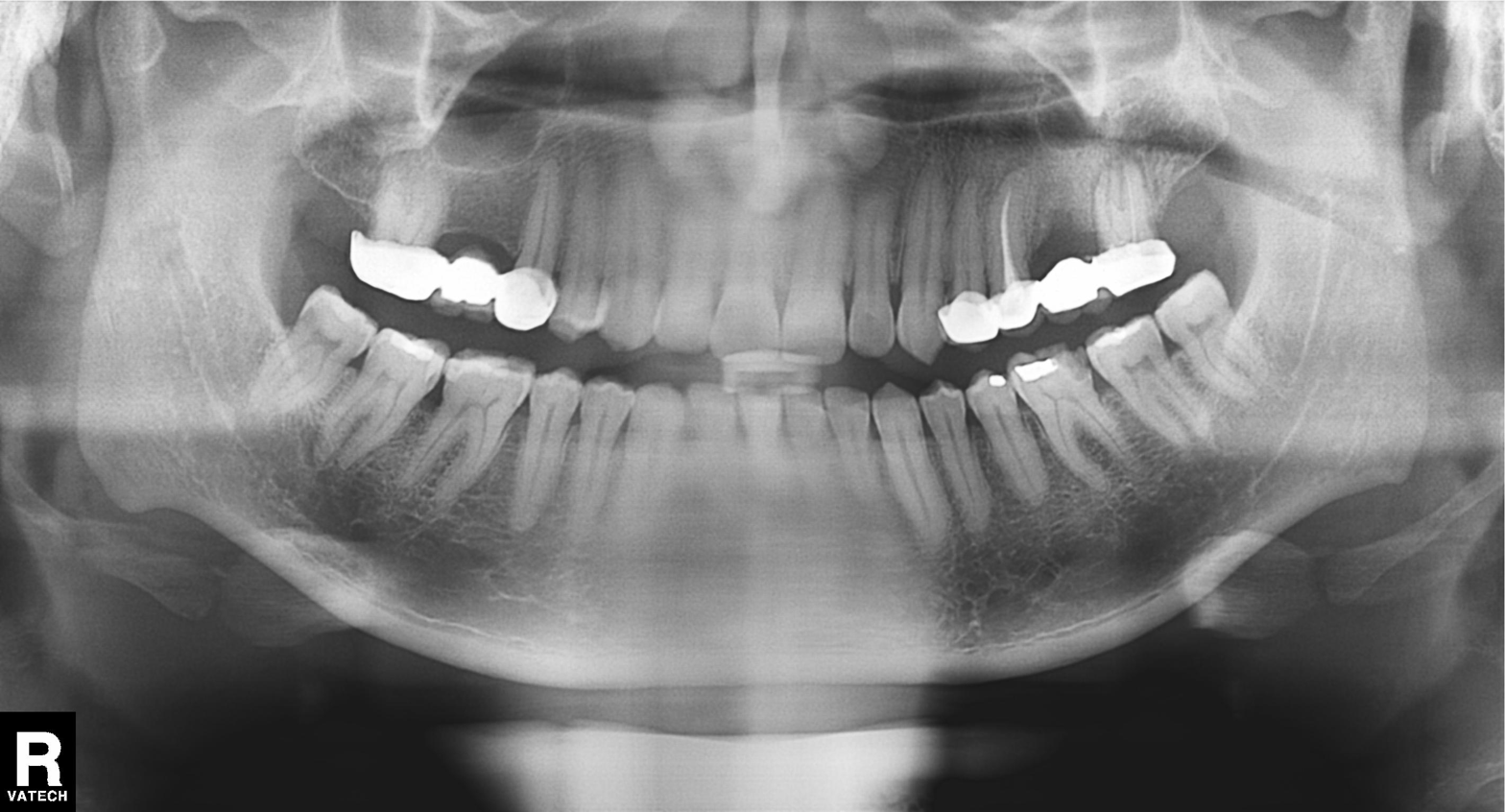
<record>
<modality>panoramic dental radiograph (orthopantomogram)</modality>
<finding>dental caries (cavities)</finding>
</record>